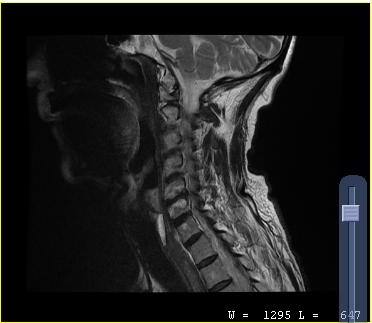
MRI of the cervical spine.
Study: cervical spondylosis.